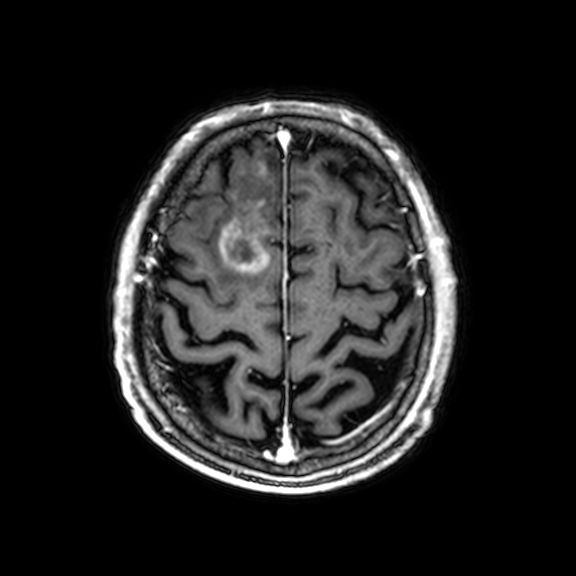
3 Tesla brain MRI.
Series: 3D T1-weighted with CLEAR.
Study: ring-enhancing brain masses.